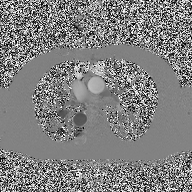
– modality — 2D phase-contrast cine MRI of the ascending aorta